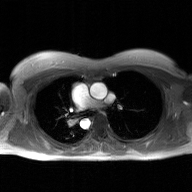
Case summary: 2D phase-contrast cine MRI of the ascending aorta, GAN super-resolution reconstruction.